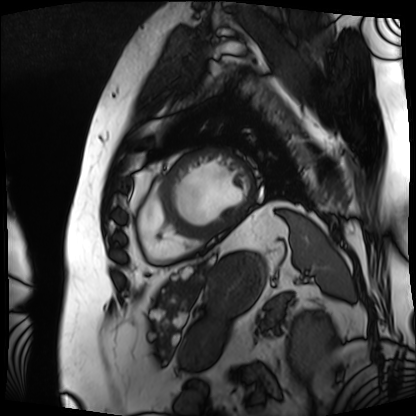
modality = cardiac MRI, subject group = patient.